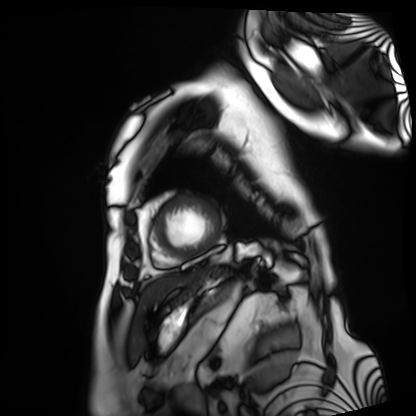
Q: What kind of scan is this?
A: Cardiac MRI.
Subject group: patient.